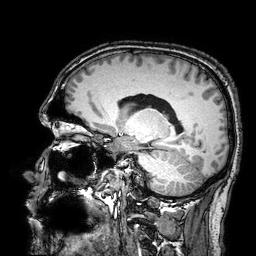
3 Tesla brain MRI.
Series: 3D T1-weighted turbo field echo with SENSE.
Study: ring-enhancing brain masses.